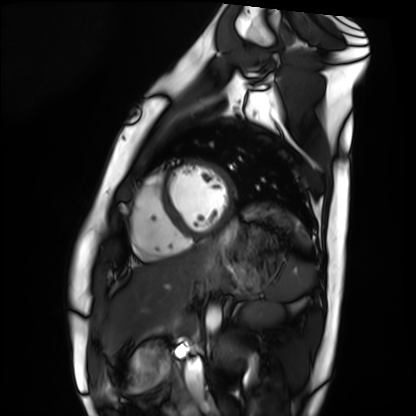
Cardiac MRI. Subject group: healthy volunteer.